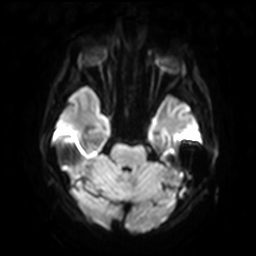
modality — 3 Tesla brain MRI; series — diffusion-weighted imaging with SENSE (WIP); study — ring-enhancing brain masses.